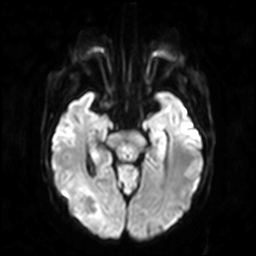
Case:
* modality · 3 Tesla brain MRI
* study · ring-enhancing brain masses